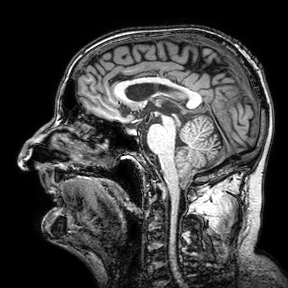
Case:
• modality — 3 Tesla brain MRI
• series — 3D T1-weighted turbo field echo with SENSE
• study — ring-enhancing brain masses